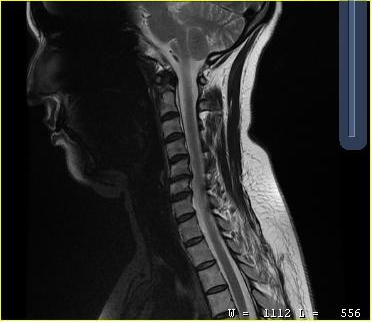
MRI of the cervical spine. Study: cervical spondylosis.